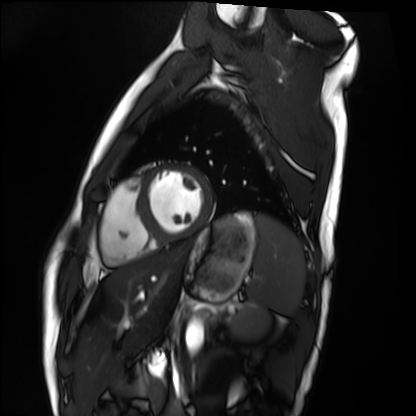
Cardiac MRI.
Subject group: healthy volunteer.